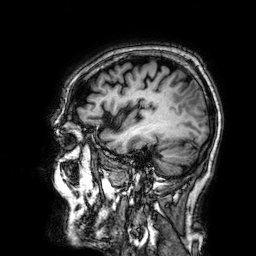
modality: 3 Tesla brain MRI
study: ring-enhancing brain masses